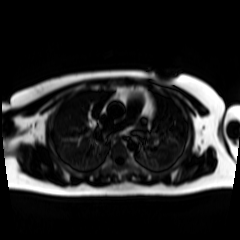
Summary: Chemical-shift-encoded cardiac MRI.